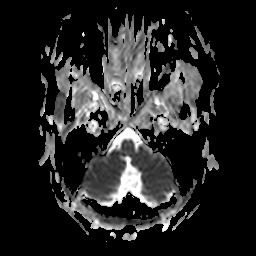
Summary: 3 Tesla brain MRI. Series: apparent diffusion coefficient (ADC) map. Study: ring-enhancing brain masses.